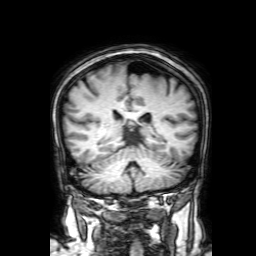
modality=3 Tesla brain MRI; series=3D T1-weighted with SENSE; study=ring-enhancing brain masses.